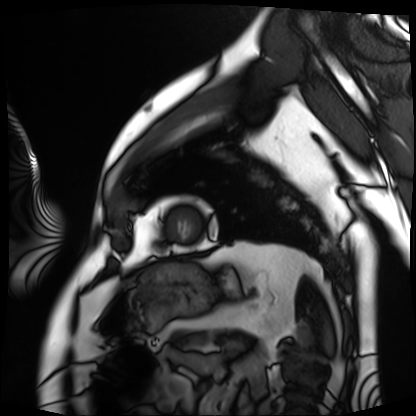
Cardiac MRI. Subject group: patient.